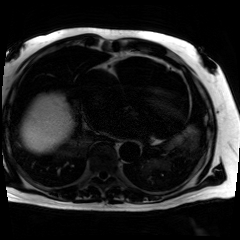
Q: What kind of scan is this?
A: Chemical-shift-encoded cardiac MRI.